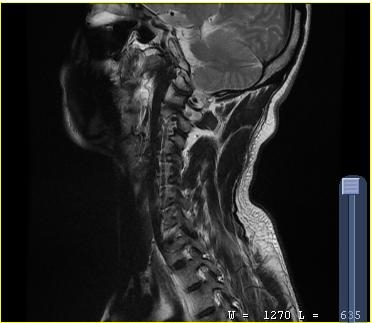
{"modality": {"type": "cervical spine MRI"}, "study_topic": "cervical spondylosis"}